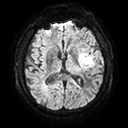
3 Tesla brain MRI.
Study: ring-enhancing brain masses.